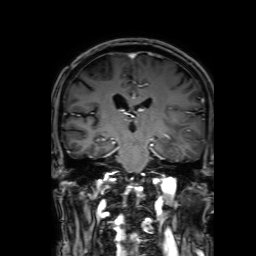
* modality — 3 Tesla brain MRI
* series — 3D T1-weighted with SENSE
* study — ring-enhancing brain masses